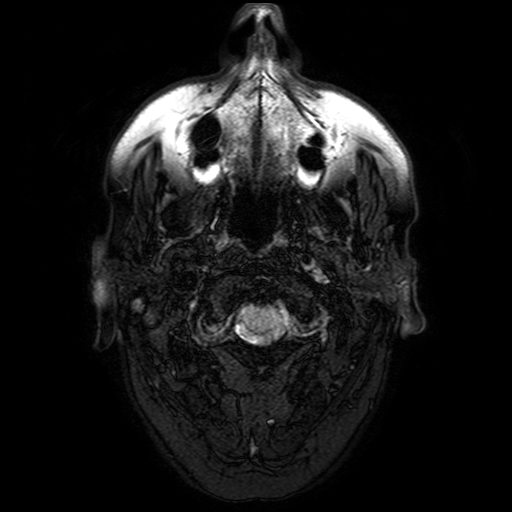
Q: What kind of scan is this?
A: 3 Tesla brain MRI.
Q: Series?
A: FLAIR with SPAIR.
Study: ring-enhancing brain masses.